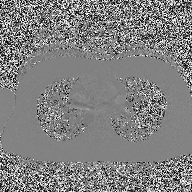
Summary:
2D phase-contrast cine MRI of the ascending aorta, high-resolution GRAPPA acquisition.